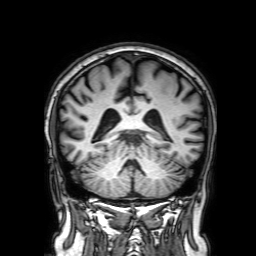
• modality: 3 Tesla brain MRI
• study: ring-enhancing brain masses